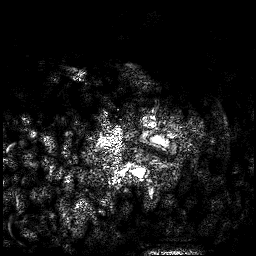
modality: 3 Tesla brain MRI
series: 3D T1-weighted
study: ring-enhancing brain masses